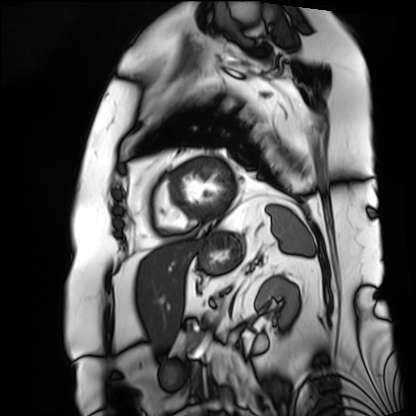
Summary: Cardiac MRI. Subject group: patient.